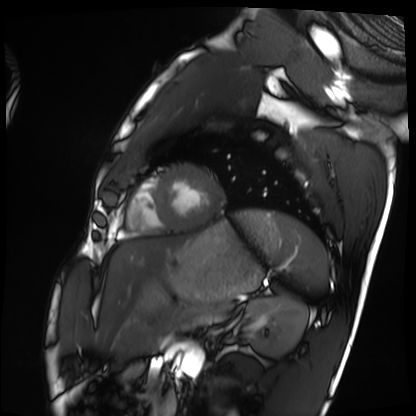
Case:
• modality: cardiac MRI
• subject group: healthy volunteer